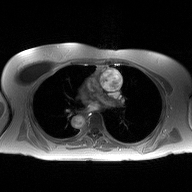
2D phase-contrast cine MRI of the ascending aorta, high-resolution GRAPPA acquisition.